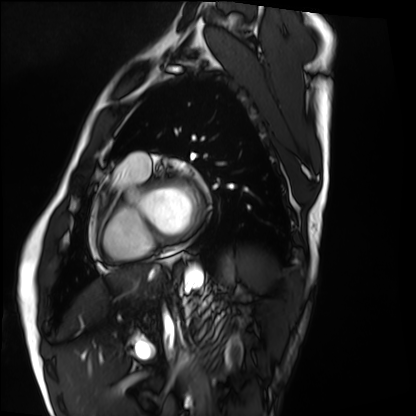
Summary: Cardiac MRI. Subject group: healthy volunteer.